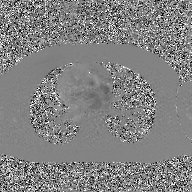
Q: What kind of scan is this?
A: 2D phase-contrast cine MRI of the ascending aorta, GAN super-resolution reconstruction.